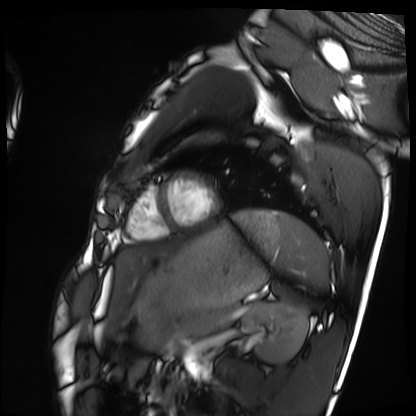
Cardiac MRI. Subject group: healthy volunteer.